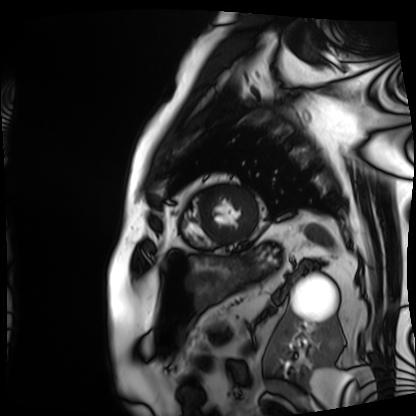
Case summary:
Cardiac MRI. Subject group: patient.